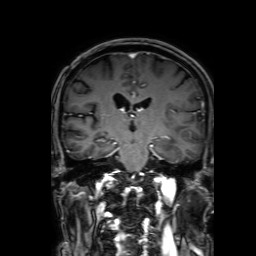
Summary: 3 Tesla brain MRI. Series: 3D T1-weighted with SENSE. Study: ring-enhancing brain masses.